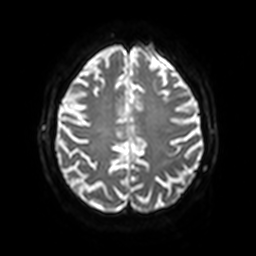
Summary:
3 Tesla brain MRI. Series: diffusion-weighted imaging with SENSE (WIP). Study: ring-enhancing brain masses.